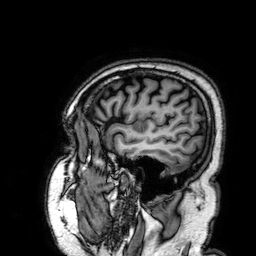
Summary:
3 Tesla brain MRI. Series: 3D T1-weighted. Study: ring-enhancing brain masses.